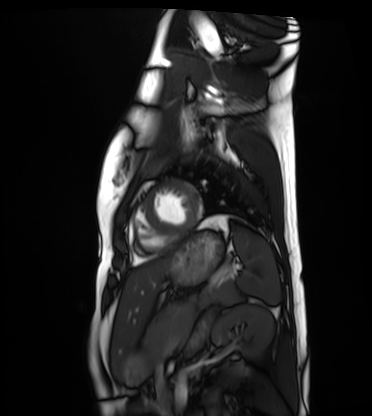
{
  "modality": "cardiac MRI",
  "cohort": "healthy volunteer"
}